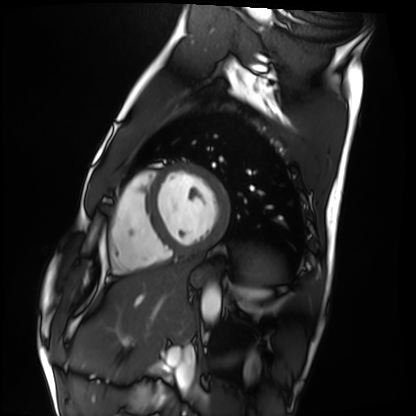
- modality · cardiac MRI
- subject group · healthy volunteer